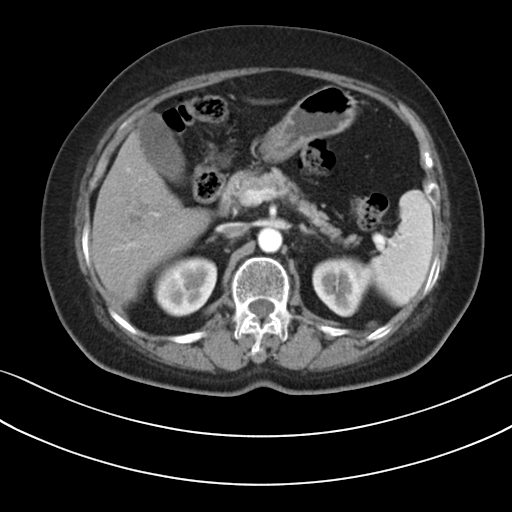
Multiphase abdominal CT, liver, arterial phase.
Patient: female, age 67.